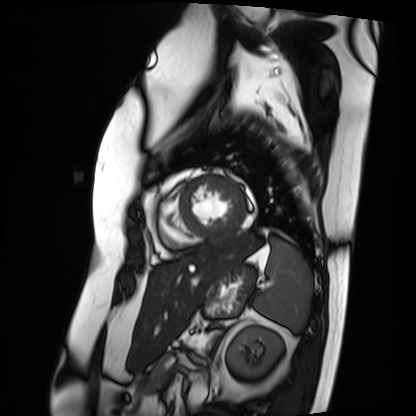
<record>
<modality>cardiac MRI</modality>
<cohort>patient</cohort>
</record>